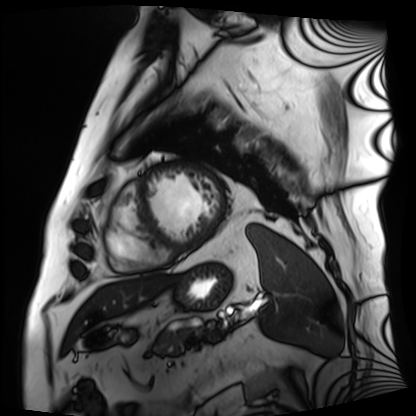
| field | value |
|---|---|
| modality | cardiac MRI |
| subject group | patient |